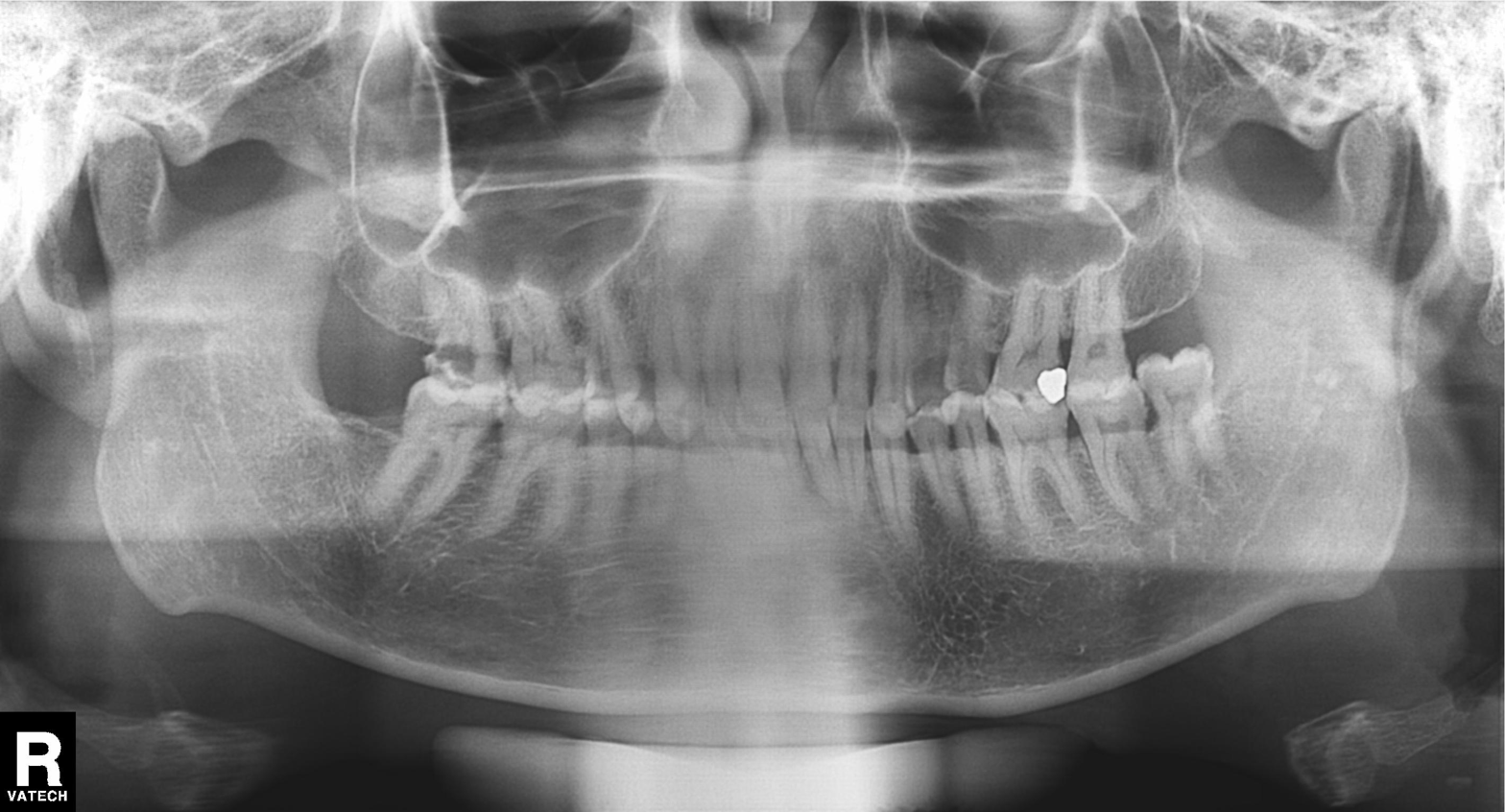
modality = panoramic dental radiograph (orthopantomogram) | finding = dental caries (cavities).